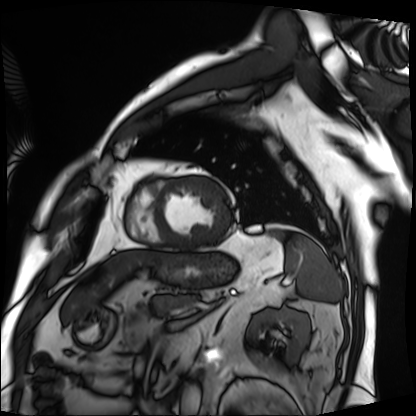
Clinical context: Cardiac MRI. Subject group: patient.